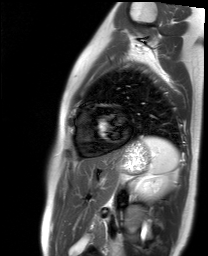
Cardiac MR image of the myocardium.
Subject cohort: healthy volunteer.